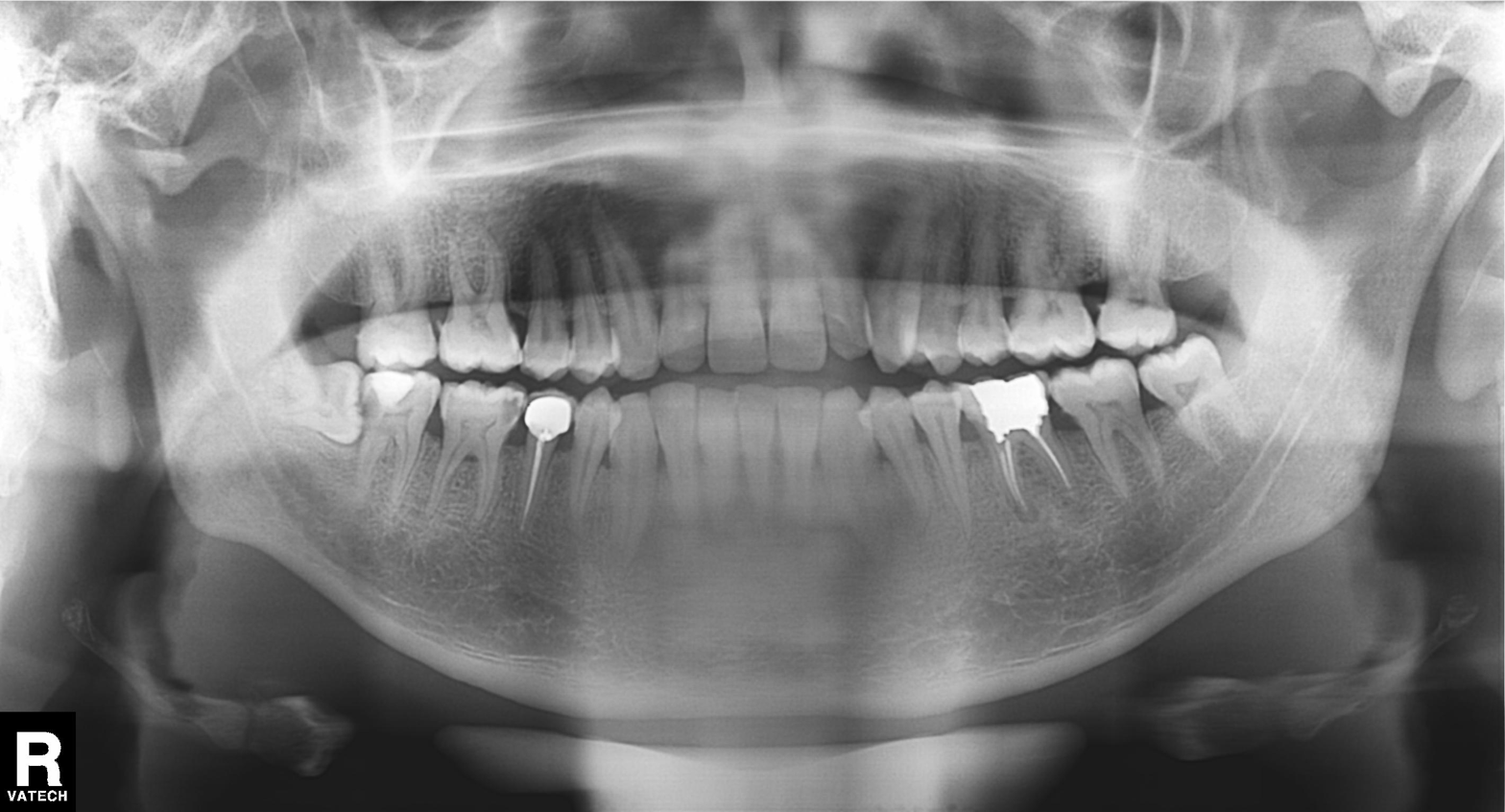
modality: panoramic dental radiograph (orthopantomogram)
finding: dental caries (cavities)